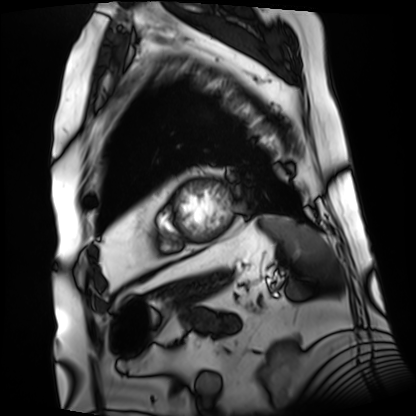
  modality: cardiac MRI
  cohort: patient